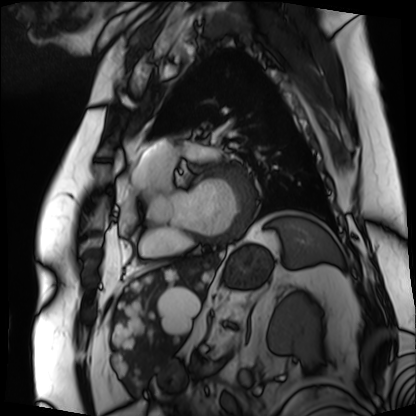
Summary: Cardiac MRI. Subject group: patient.